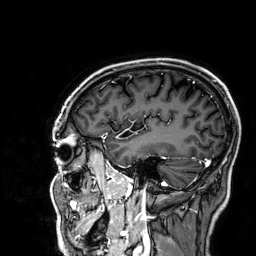
• modality — 3 Tesla brain MRI
• series — 3D T1-weighted
• study — ring-enhancing brain masses